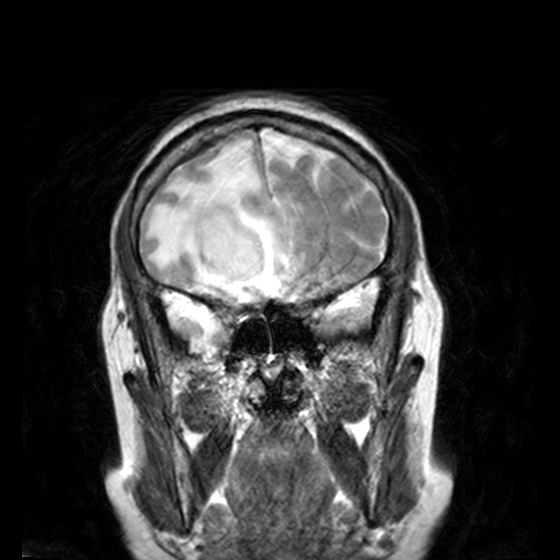
modality — 3 Tesla brain MRI | series — T2-weighted turbo spin echo, 3 mm | study — ring-enhancing brain masses.